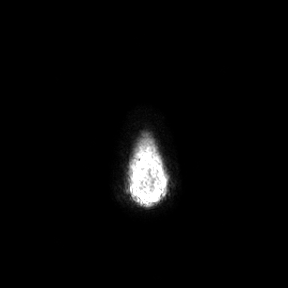
| field | value |
|---|---|
| modality | 3 Tesla brain MRI |
| series | axial |
| study | ring-enhancing brain masses |